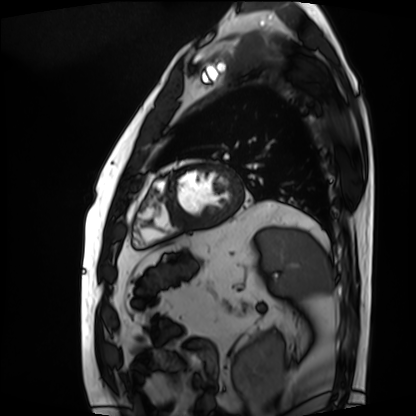
modality: cardiac MRI; subject group: patient.